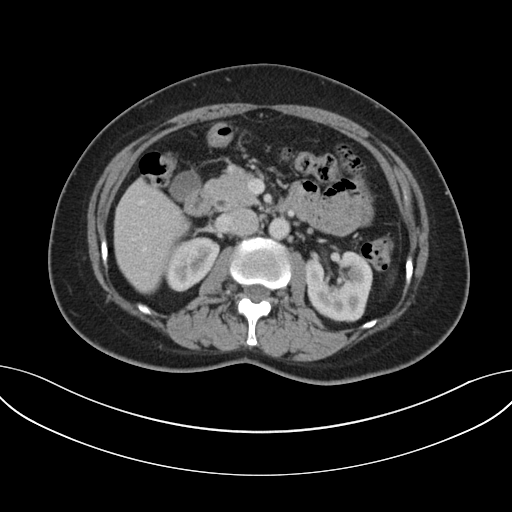
Q: What kind of scan is this?
A: Multiphase abdominal CT, liver, portal venous phase.
Q: Patient?
A: Female, age 53.
Q: History?
A: Prior chemotherapy.